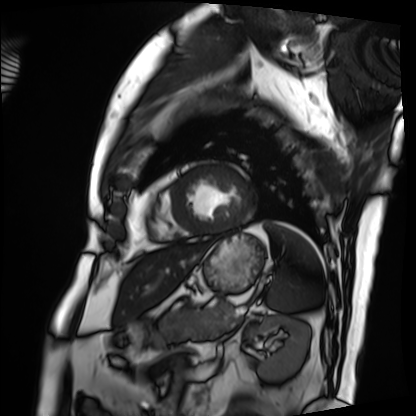
{"modality": "cardiac MRI", "cohort": "patient"}